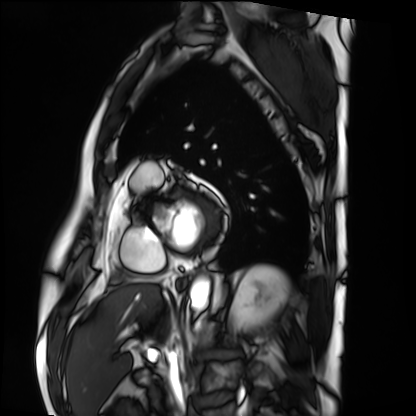
Cardiac MRI. Subject group: patient.